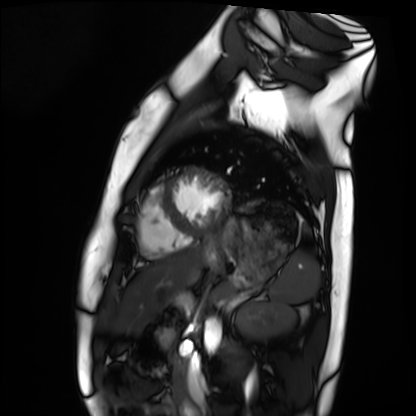
Clinical context:
Cardiac MRI. Subject group: healthy volunteer.